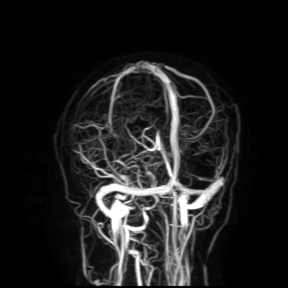
<record>
  <modality>
    <type>brain MRI</type>
    <field_strength>3T</field_strength>
  </modality>
  <study_topic>ring-enhancing brain masses</study_topic>
</record>